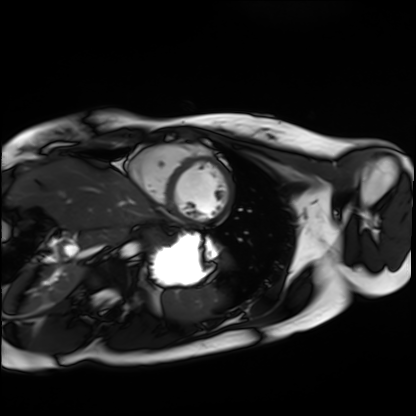
- modality — cardiac MRI
- subject group — healthy volunteer